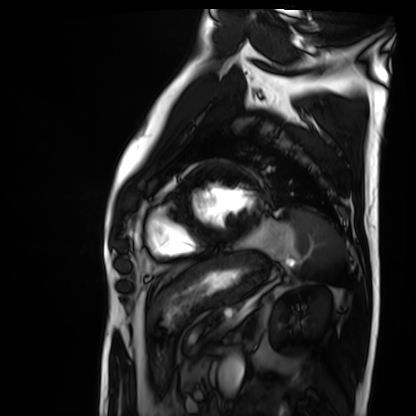
modality: cardiac MRI, subject group: patient.